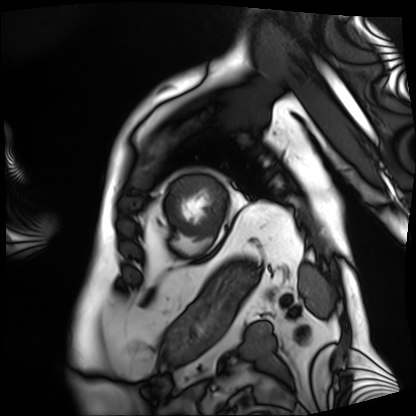
{
  "modality": "cardiac MRI",
  "cohort": "patient"
}